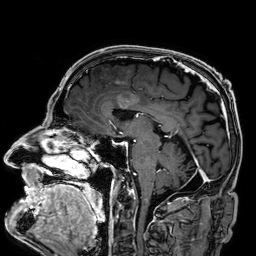
| field | value |
|---|---|
| modality | 3 Tesla brain MRI |
| series | 3D T1-weighted |
| study | ring-enhancing brain masses |